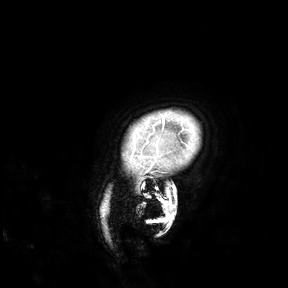
modality — 3 Tesla brain MRI; study — ring-enhancing brain masses.